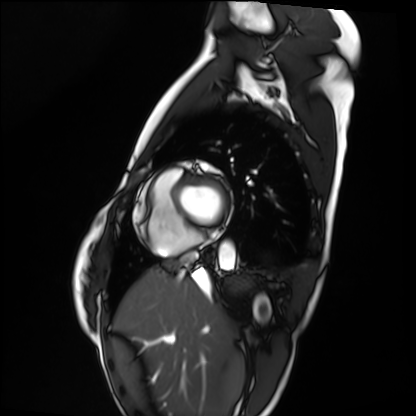
* modality: cardiac MRI
* subject group: healthy volunteer